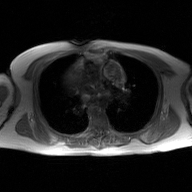
2D phase-contrast cine MRI of the ascending aorta, GAN super-resolution reconstruction.